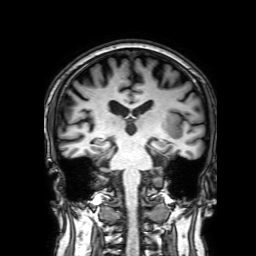
modality:
  type: brain MRI
  field_strength: 3T
series: 3D T1-weighted with SENSE
study_topic: ring-enhancing brain masses